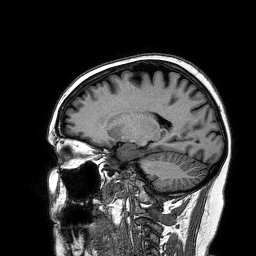
Summary:
3 Tesla brain MRI. Series: 3D T1-weighted turbo field echo. Study: ring-enhancing brain masses.